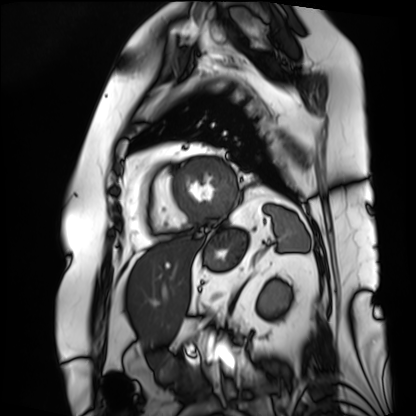
Summary:
Cardiac MRI. Subject group: patient.